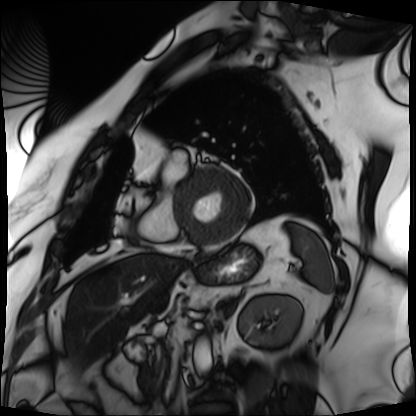
Cardiac MRI.
Subject group: patient.